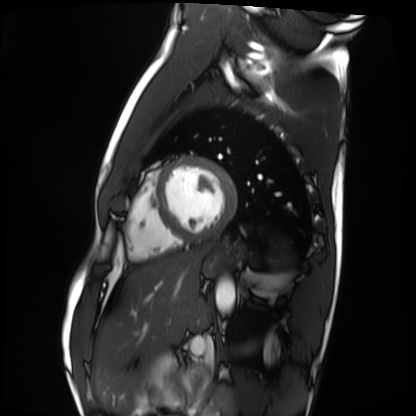
Cardiac MRI.
Subject group: healthy volunteer.